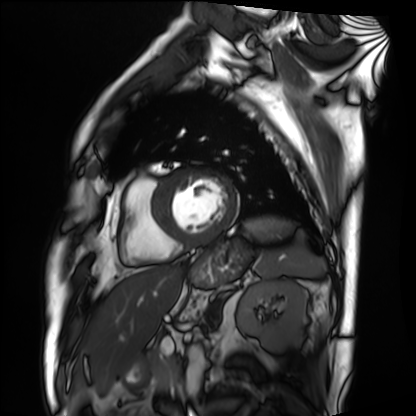
modality: cardiac MRI; subject group: patient.